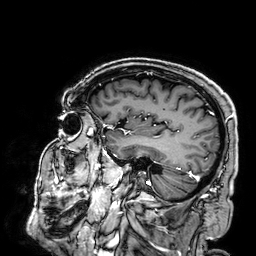
3 Tesla brain MRI.
Series: 3D T1-weighted.
Study: ring-enhancing brain masses.